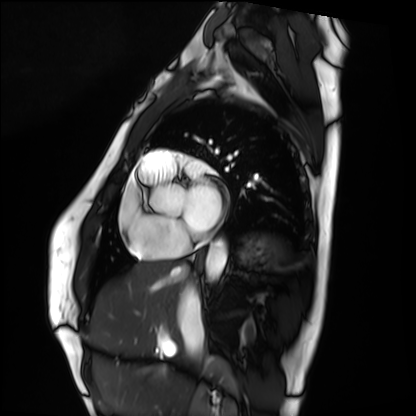
• modality — cardiac MRI
• subject group — healthy volunteer